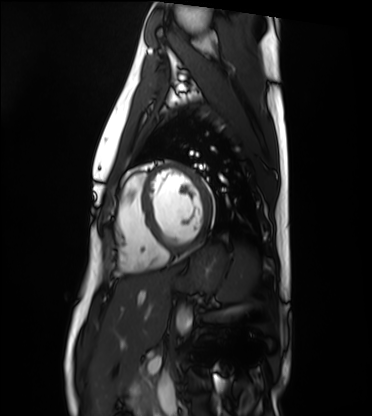
modality = cardiac MRI, subject group = healthy volunteer.